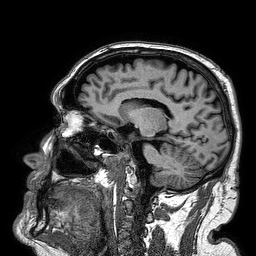
modality: 3 Tesla brain MRI
series: 3D T1-weighted turbo field echo
study: ring-enhancing brain masses